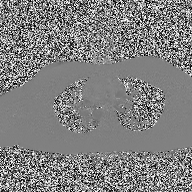
  modality:
    type: 2D phase-contrast cine MRI
    region: ascending aorta
    reconstruction: high-resolution GRAPPA acquisition